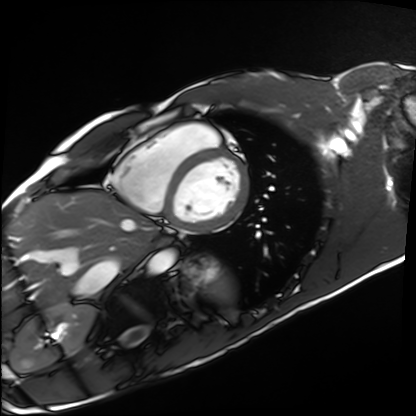
{
  "modality": "cardiac MRI",
  "cohort": "healthy volunteer"
}